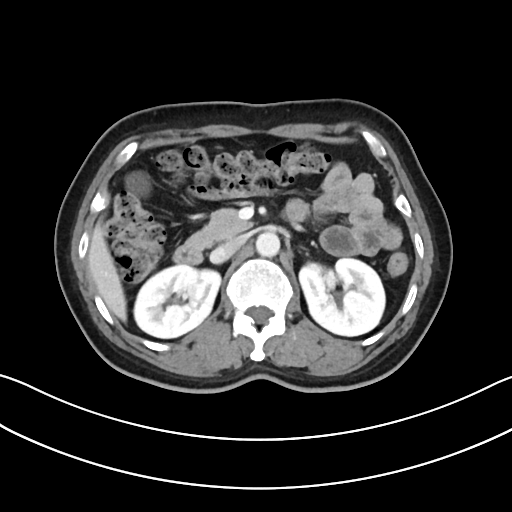
<record>
  <modality>
    <type>multiphase abdominal CT</type>
    <region>liver</region>
    <phase>portal venous</phase>
  </modality>
  <patient>
    <sex>female</sex>
    <age>50</age>
  </patient>
</record>